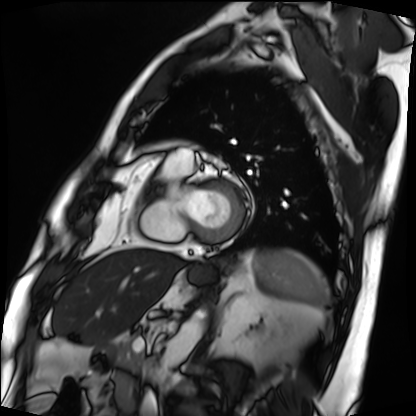
Cardiac MRI. Subject group: patient.